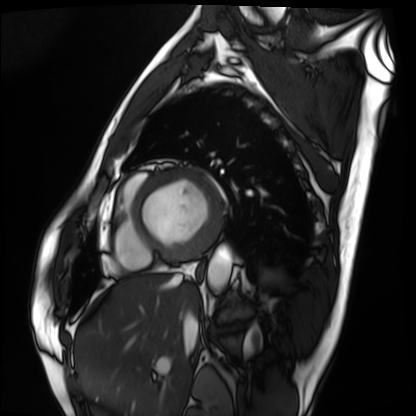
Cardiac MRI.
Subject group: patient.